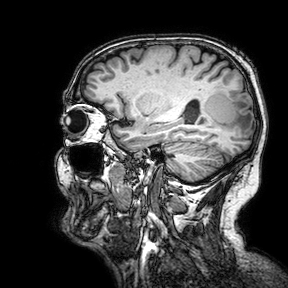
• modality — 3 Tesla brain MRI
• series — 3D T1-weighted turbo field echo with SENSE
• study — ring-enhancing brain masses